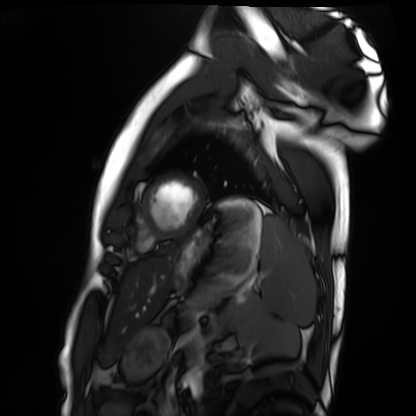
Cardiac MRI.
Subject group: healthy volunteer.